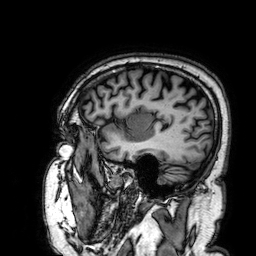
Case summary:
3 Tesla brain MRI. Series: 3D T1-weighted. Study: ring-enhancing brain masses.